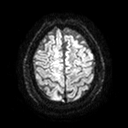
Q: What kind of scan is this?
A: 3 Tesla brain MRI.
Q: Series?
A: Diffusion tensor imaging (medium iso).
Study: ring-enhancing brain masses.